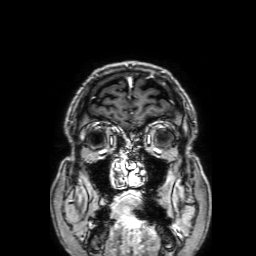
modality: 3 Tesla brain MRI; series: 3D T1-weighted with SENSE; study: ring-enhancing brain masses.